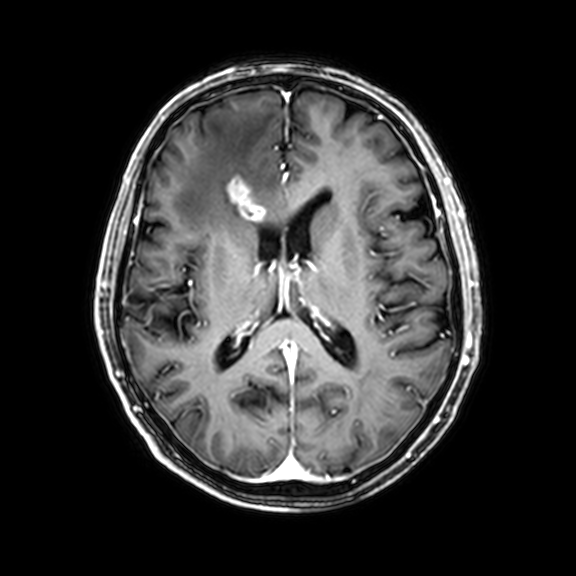
{
  "modality": {
    "type": "brain MRI",
    "field_strength": "3T"
  },
  "series": "3D T1-weighted with CLEAR",
  "study_topic": "ring-enhancing brain masses"
}